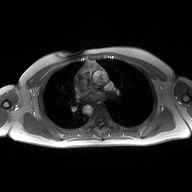
modality: 2D phase-contrast cine MRI of the ascending aorta.